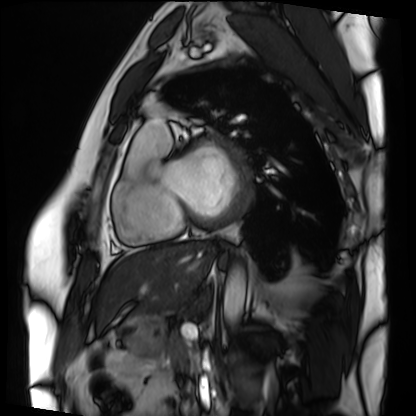
Case summary:
Cardiac MRI. Subject group: patient.